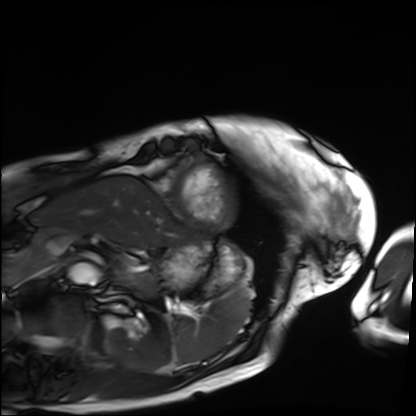
{"modality": "cardiac MRI", "cohort": "patient"}